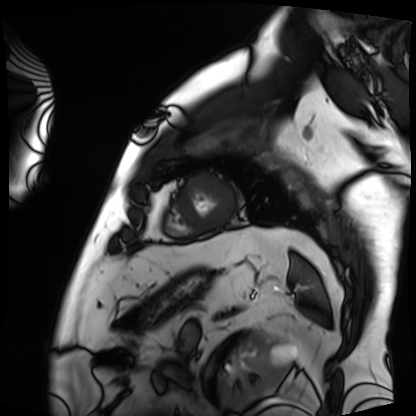
Cardiac MRI. Subject group: patient.